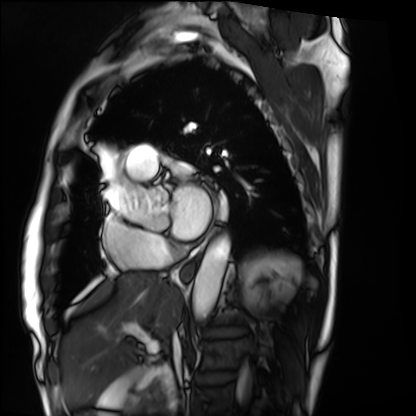
Q: What kind of scan is this?
A: Cardiac MRI.
Subject group: patient.